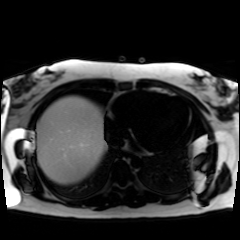
Chemical-shift-encoded cardiac MRI.